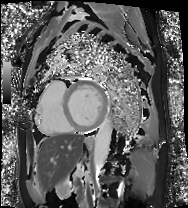
modality: cardiac MRI; subject group: patient.